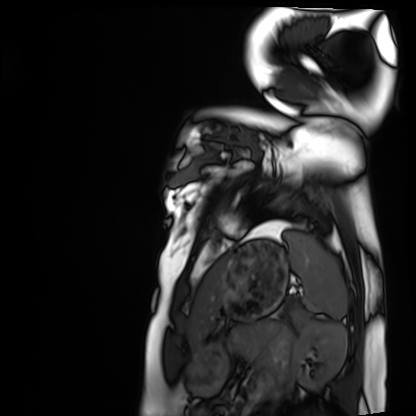
Q: What kind of scan is this?
A: Cardiac MRI.
Subject group: healthy volunteer.